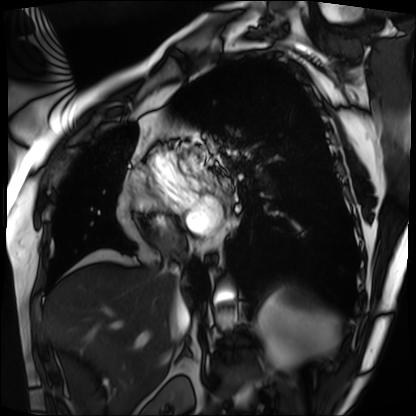
Case summary: Cardiac MRI. Subject group: patient.